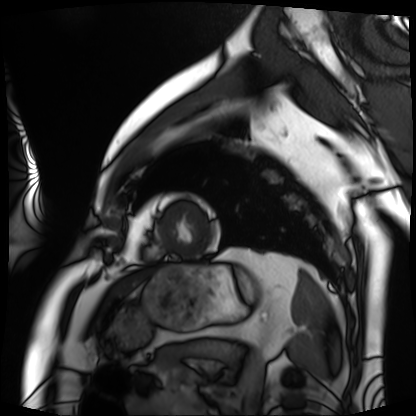
Cardiac MRI.
Subject group: patient.